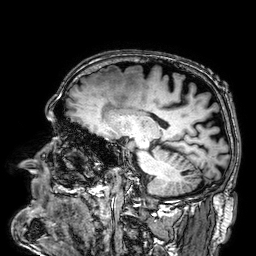
3 Tesla brain MRI.
Series: 3D T1-weighted.
Study: ring-enhancing brain masses.